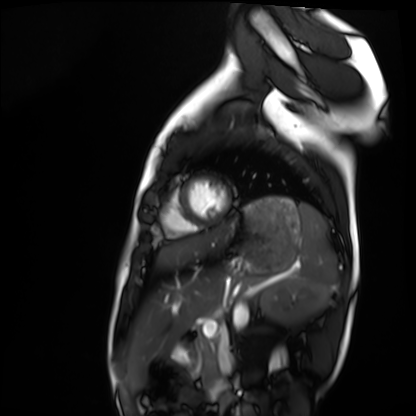
Case:
* modality: cardiac MRI
* subject group: healthy volunteer